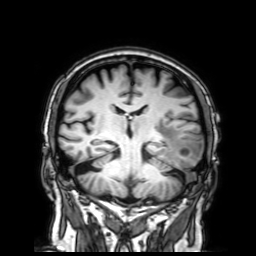
Summary:
3 Tesla brain MRI. Series: 3D T1-weighted with SENSE. Study: ring-enhancing brain masses.